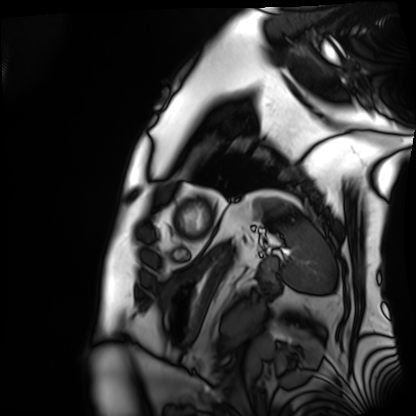
modality: cardiac MRI; subject group: patient.